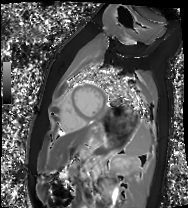
Cardiac MRI. Subject group: healthy volunteer.